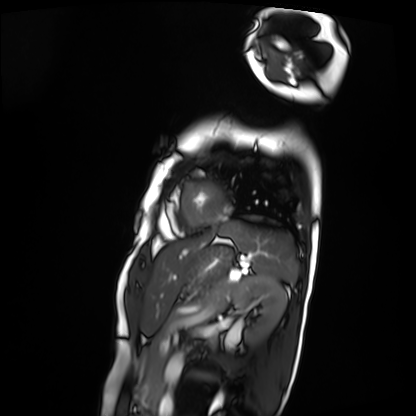
Case:
• modality · cardiac MRI
• subject group · patient